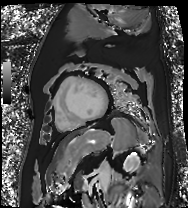
Case:
- modality — cardiac MR image of the myocardium
- subject cohort — cardiac patient